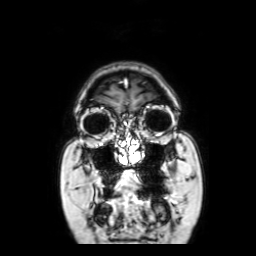
{"modality": {"type": "brain MRI", "field_strength": "3T"}, "series": "coronal with contrast", "study_topic": "ring-enhancing brain masses"}